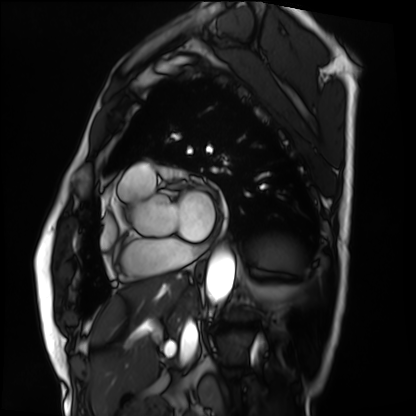
Cardiac MRI. Subject group: patient.